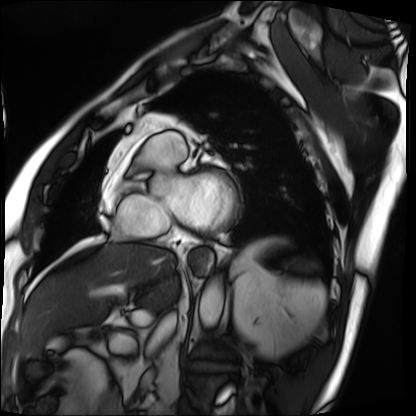
Summary:
Cardiac MRI. Subject group: patient.